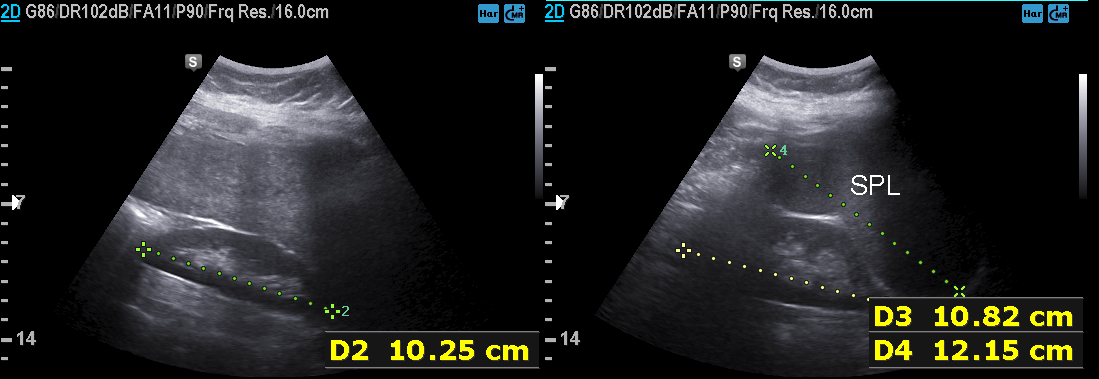
Case:
- modality: genitourinary ultrasound